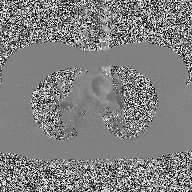
2D phase-contrast cine MRI of the ascending aorta, high-resolution GRAPPA acquisition.